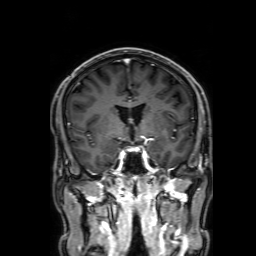
Summary:
3 Tesla brain MRI. Series: 3D T1-weighted with SENSE. Study: ring-enhancing brain masses.